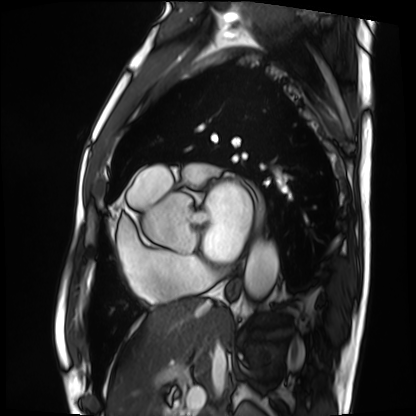
Cardiac MRI.
Subject group: patient.